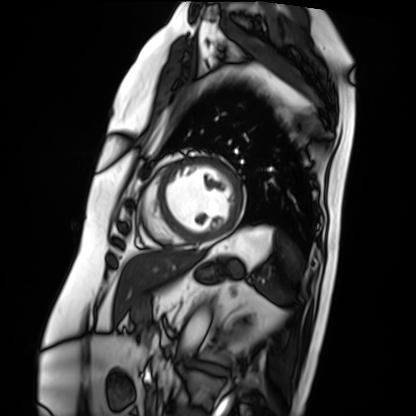
modality = cardiac MRI | subject group = patient.